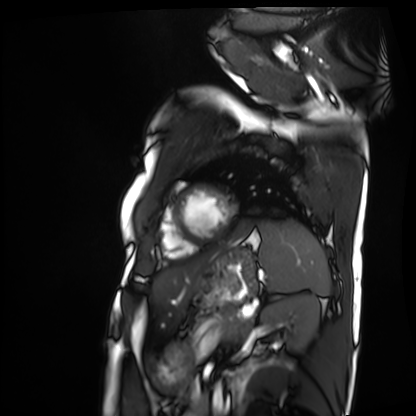
modality: cardiac MRI | subject group: patient.